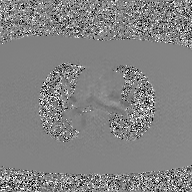
<case>
  <modality>
    <type>2D phase-contrast cine MRI</type>
    <region>ascending aorta</region>
    <reconstruction>GAN super-resolution reconstruction</reconstruction>
  </modality>
</case>